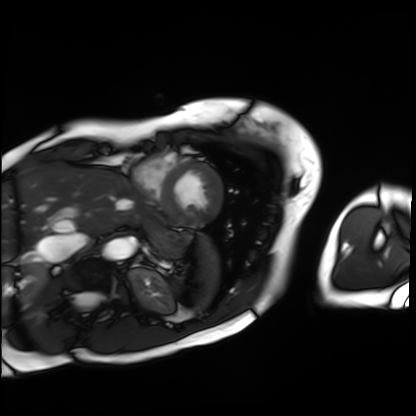
Summary: Cardiac MRI. Subject group: patient.